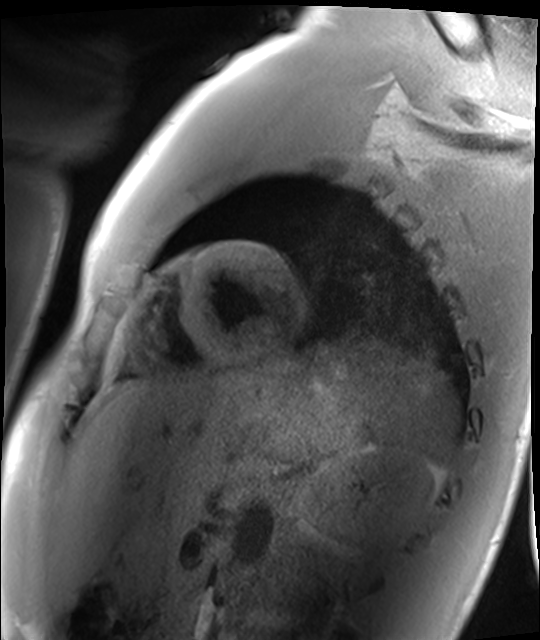
  modality: cardiac MRI
  cohort: healthy volunteer